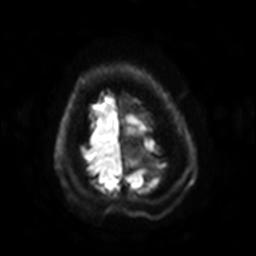
modality=3 Tesla brain MRI
series=diffusion-weighted imaging with SENSE (WIP)
study=ring-enhancing brain masses